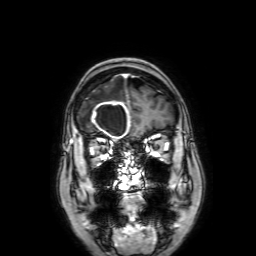
modality:
  type: brain MRI
  field_strength: 3T
series: 3D T1-weighted with SENSE
study_topic: ring-enhancing brain masses